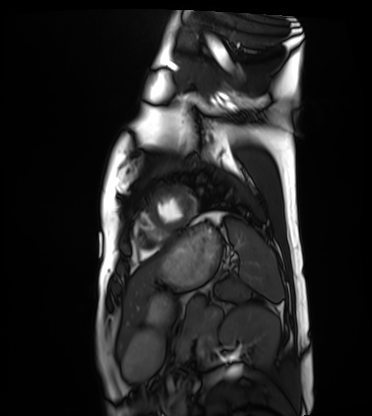
Cardiac MRI. Subject group: healthy volunteer.